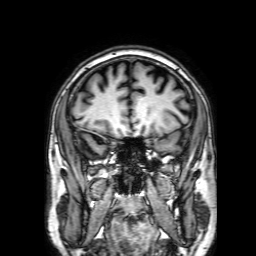
3 Tesla brain MRI. Series: 3D T1-weighted with SENSE. Study: ring-enhancing brain masses.